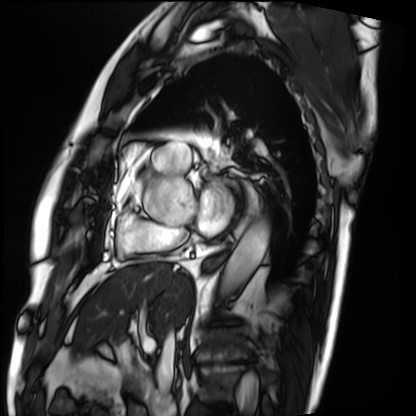
Case:
– modality · cardiac MRI
– subject group · patient